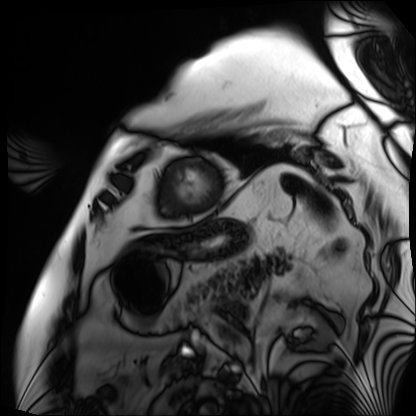
Summary:
Cardiac MRI. Subject group: patient.